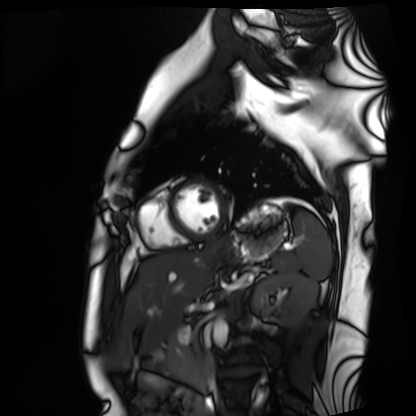
Summary: Cardiac MRI. Subject group: healthy volunteer.